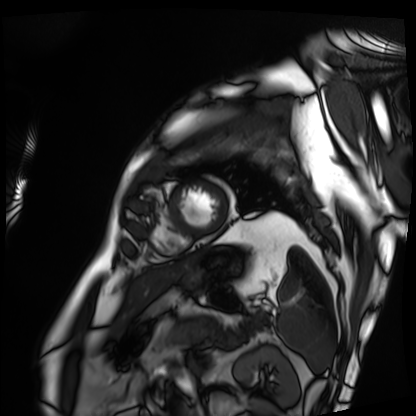
Cardiac MRI. Subject group: patient.